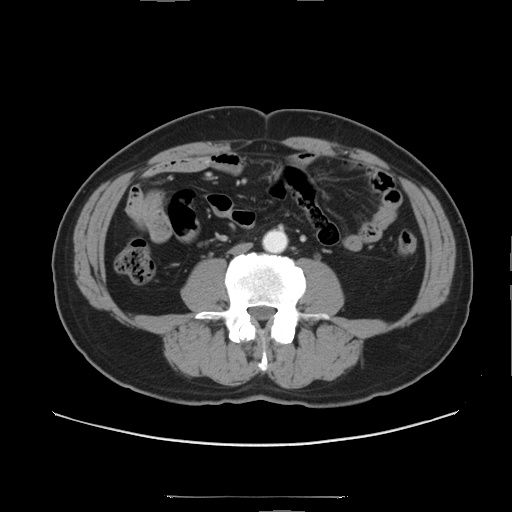
Q: What kind of scan is this?
A: Multiphase abdominal CT, liver, arterial phase.
Q: Patient?
A: Male, age 56.